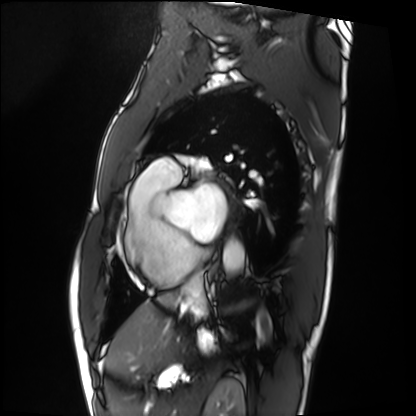
Clinical context:
Cardiac MRI. Subject group: patient.